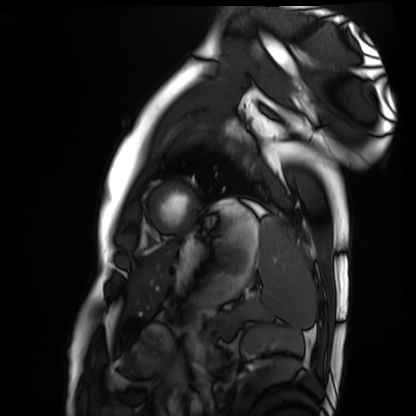
Cardiac MRI. Subject group: healthy volunteer.